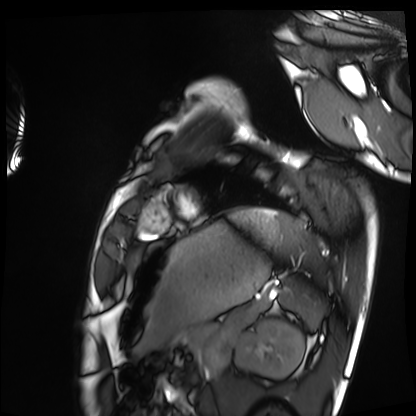
Cardiac MRI.
Subject group: healthy volunteer.